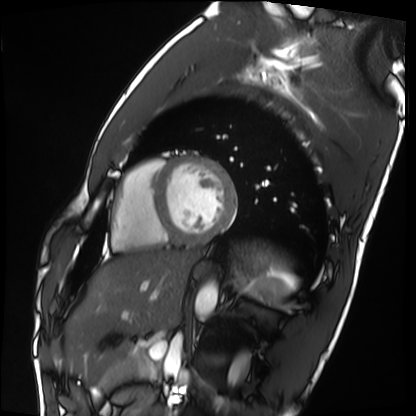
Summary:
Cardiac MRI. Subject group: healthy volunteer.